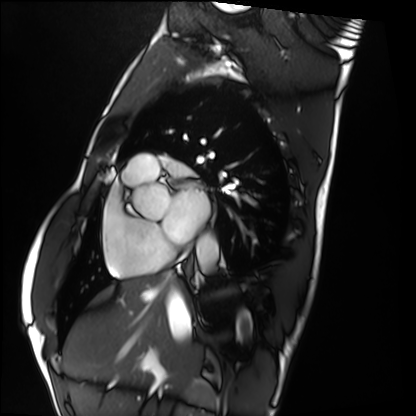
Cardiac MRI. Subject group: healthy volunteer.